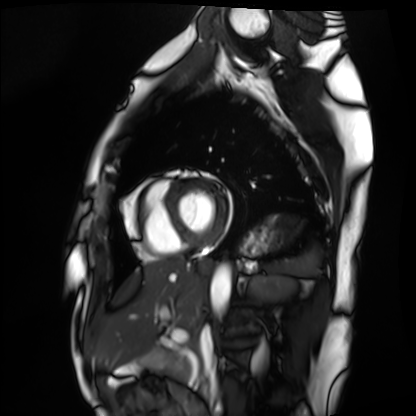
  modality: cardiac MRI
  cohort: healthy volunteer